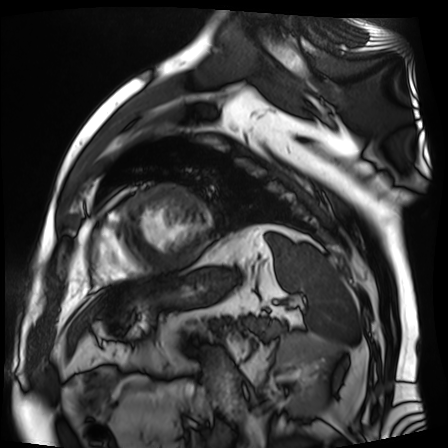
Cardiac MR image of the myocardium.
Subject cohort: cardiac patient.